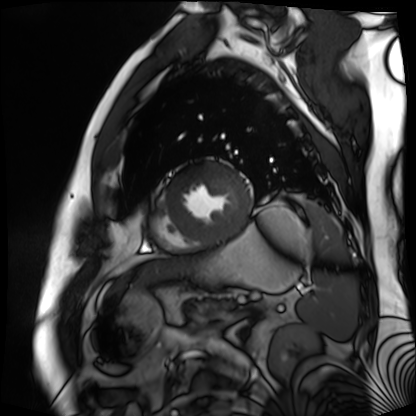
modality — cardiac MR image of the myocardium; subject cohort — cardiac patient.